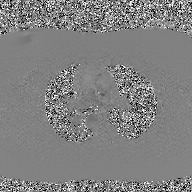
Clinical context: 2D phase-contrast cine MRI of the ascending aorta, GAN super-resolution reconstruction.